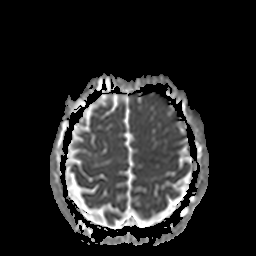
Summary: 3 Tesla brain MRI. Series: apparent diffusion coefficient (ADC) map. Study: ring-enhancing brain masses.